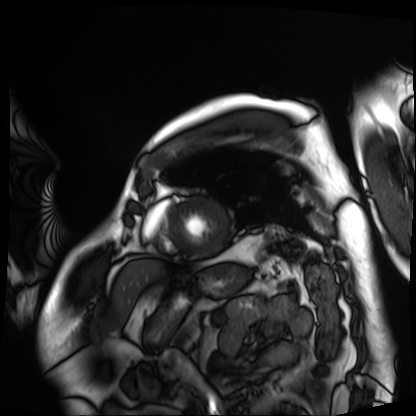
Clinical context: Cardiac MRI. Subject group: patient.